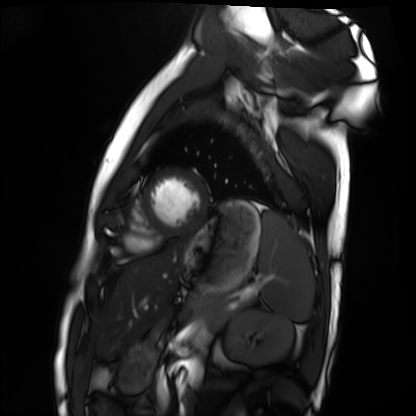
Cardiac MRI.
Subject group: healthy volunteer.